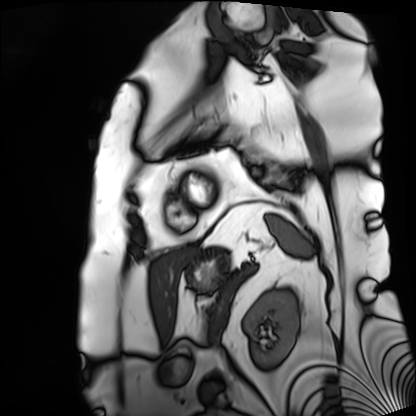
Cardiac MRI.
Subject group: patient.